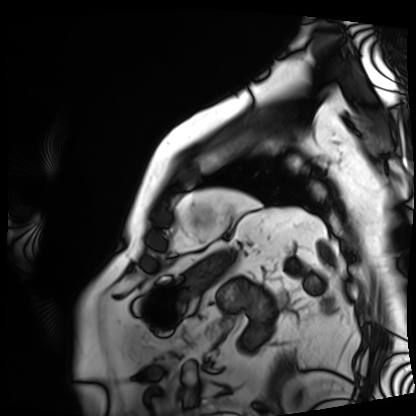
{"modality": "cardiac MRI", "cohort": "patient"}